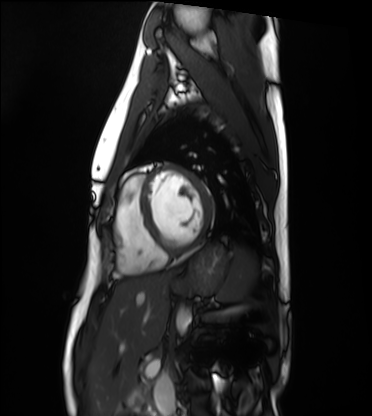
Summary: Cardiac MRI. Subject group: healthy volunteer.